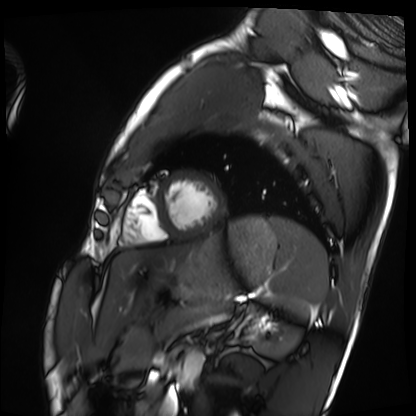
{"modality": "cardiac MRI", "cohort": "healthy volunteer"}